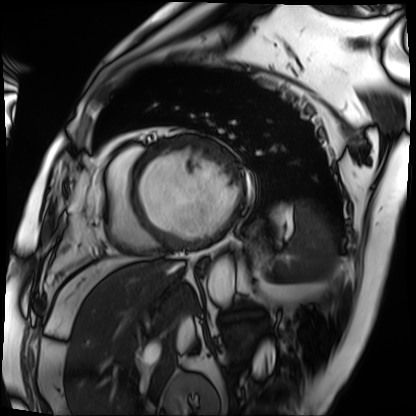
| field | value |
|---|---|
| modality | cardiac MRI |
| subject group | patient |